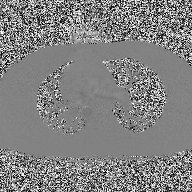
2D phase-contrast cine MRI of the ascending aorta, high-resolution GRAPPA acquisition.